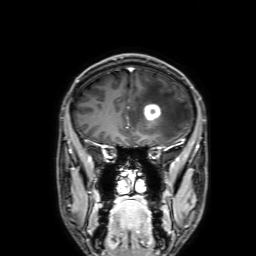
Summary:
3 Tesla brain MRI. Series: 3D T1-weighted with SENSE. Study: ring-enhancing brain masses.